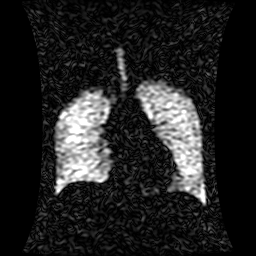
{
  "modality": "hyperpolarized 129Xe ventilation MRI of the lungs",
  "snr_level": "1 of 8 (the deposit holds this scan as its native image and as seven SNR-degraded versions)"
}